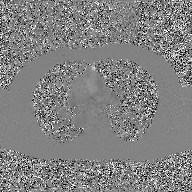
modality:
  type: 2D phase-contrast cine MRI
  region: ascending aorta
  reconstruction: GAN super-resolution reconstruction